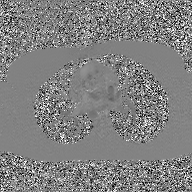
Summary: 2D phase-contrast cine MRI of the ascending aorta, GAN super-resolution reconstruction.